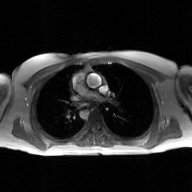
• modality · 2D phase-contrast cine MRI of the ascending aorta, GAN super-resolution reconstruction